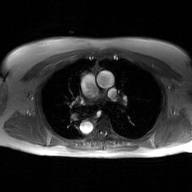
Q: What kind of scan is this?
A: 2D phase-contrast cine MRI of the ascending aorta, GAN super-resolution reconstruction.